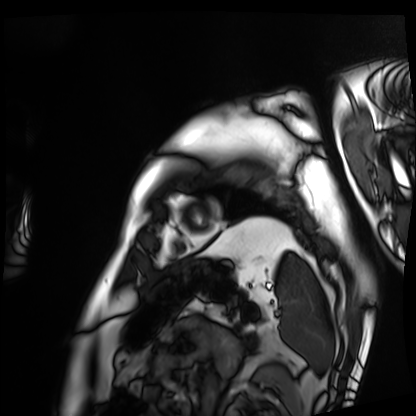
| field | value |
|---|---|
| modality | cardiac MRI |
| subject group | patient |